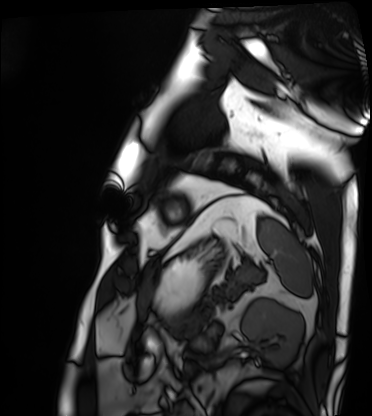
Cardiac MRI. Subject group: patient.